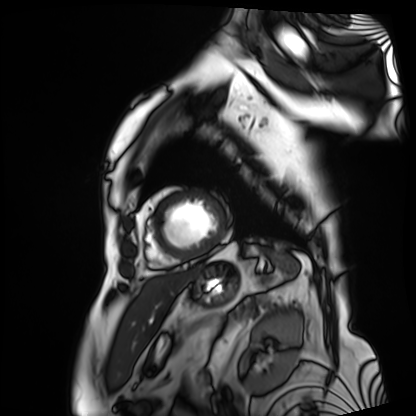
Cardiac MRI. Subject group: patient.